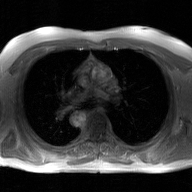
Case:
• modality · 2D phase-contrast cine MRI of the ascending aorta, GAN super-resolution reconstruction